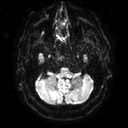
Case:
- modality — 3 Tesla brain MRI
- series — diffusion tensor imaging (medium iso)
- study — ring-enhancing brain masses